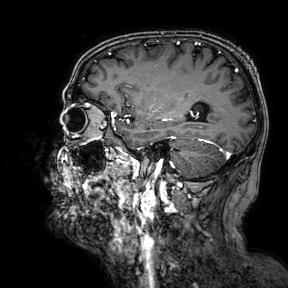
Clinical context:
3 Tesla brain MRI. Series: 3D T1-weighted turbo field echo with SENSE. Study: ring-enhancing brain masses.